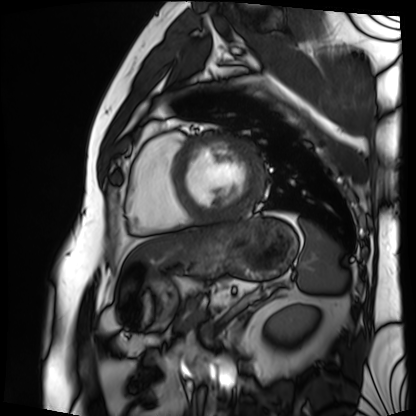
Case summary:
Cardiac MRI. Subject group: patient.